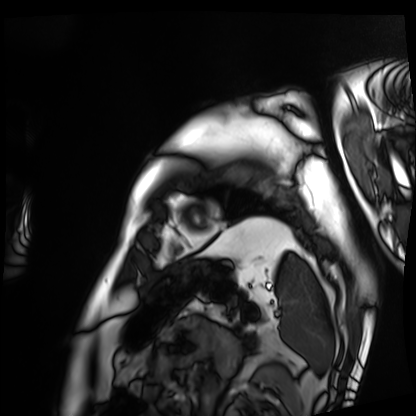
Q: What kind of scan is this?
A: Cardiac MRI.
Subject group: patient.